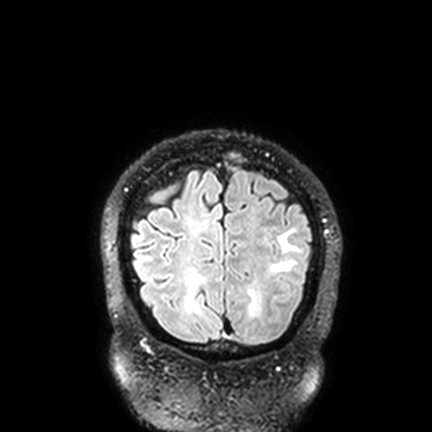
Clinical context: 3 Tesla brain MRI. Series: FLAIR VISTA with SENSE. Study: ring-enhancing brain masses.